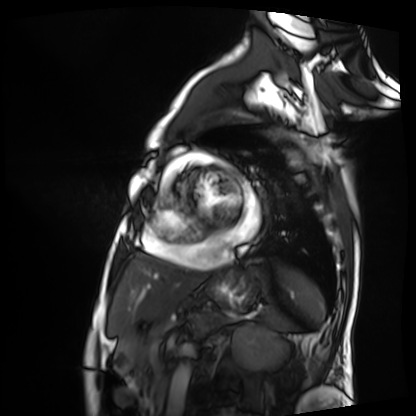
Summary: Cardiac MRI. Subject group: patient.